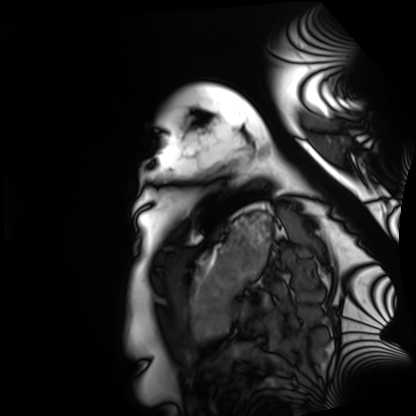
Cardiac MRI.
Subject group: healthy volunteer.